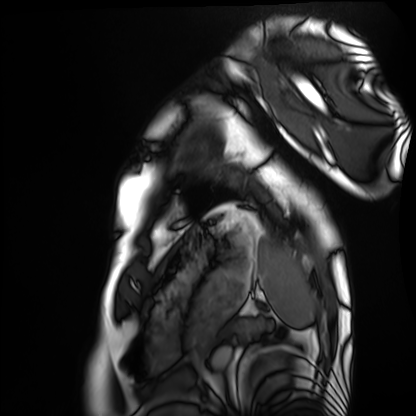
modality — cardiac MRI; subject group — healthy volunteer.